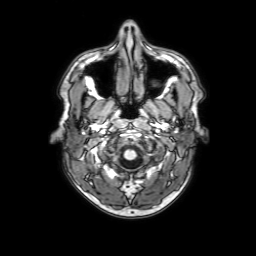
modality: 3 Tesla brain MRI | series: 3D T1-weighted with SENSE | study: ring-enhancing brain masses.